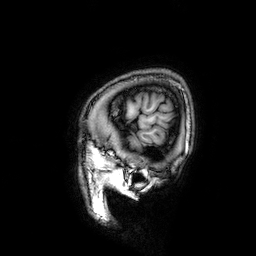
– modality — 3 Tesla brain MRI
– series — 3D T1-weighted
– study — ring-enhancing brain masses